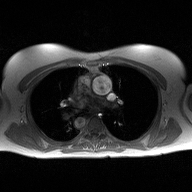
2D phase-contrast cine MRI of the ascending aorta, high-resolution GRAPPA acquisition.